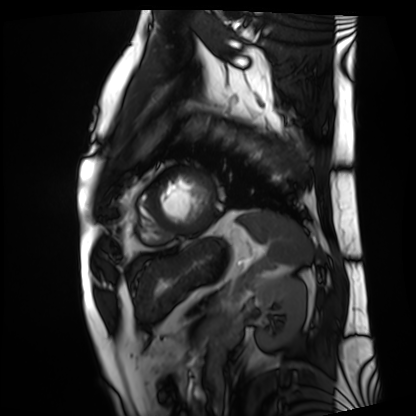
Q: What kind of scan is this?
A: Cardiac MRI.
Subject group: patient.